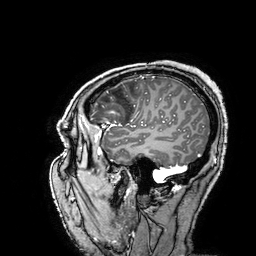
<record>
<modality>
  <type>brain MRI</type>
  <field_strength>3T</field_strength>
</modality>
<series>3D T1-weighted turbo field echo with SENSE</series>
<study_topic>ring-enhancing brain masses</study_topic>
</record>